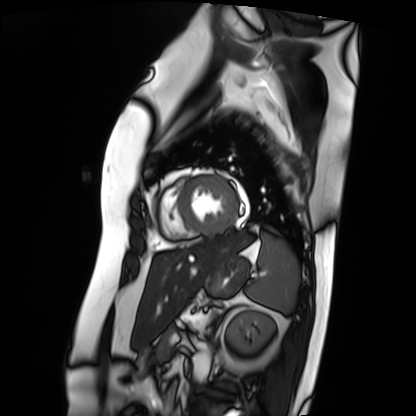
modality: cardiac MRI; subject group: patient.